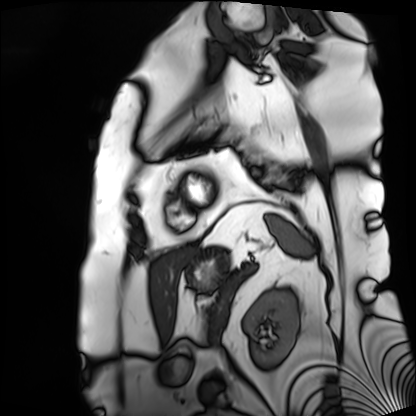
{"modality": "cardiac MRI", "cohort": "patient"}